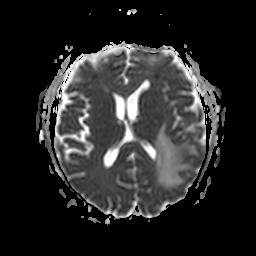
3 Tesla brain MRI.
Series: apparent diffusion coefficient (ADC) map.
Study: ring-enhancing brain masses.